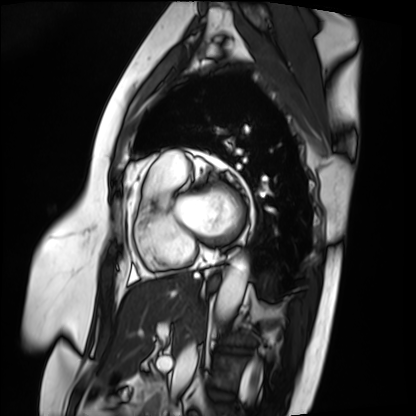
| field | value |
|---|---|
| modality | cardiac MRI |
| subject group | patient |